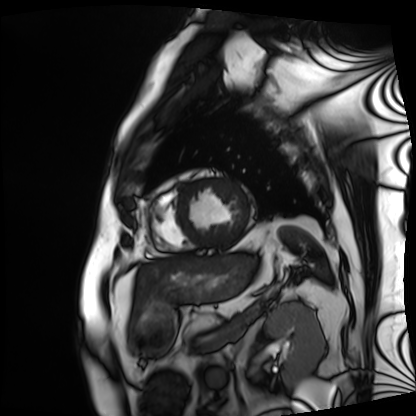
Cardiac MRI.
Subject group: patient.